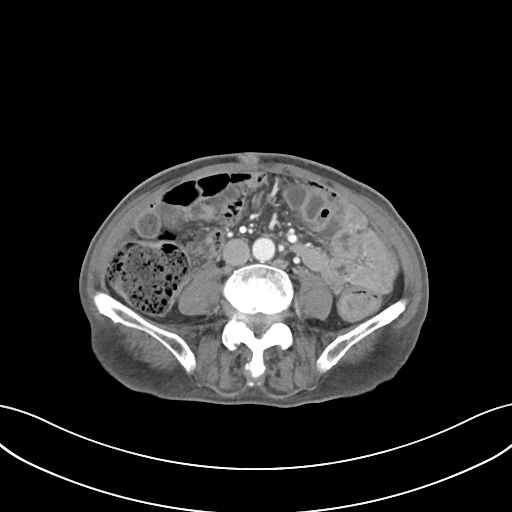
<scan>
  <modality>
    <type>multiphase abdominal CT</type>
    <region>liver</region>
    <phase>portal venous</phase>
  </modality>
  <patient>
    <sex>male</sex>
    <age>75</age>
  </patient>
  <history>prior chemotherapy</history>
</scan>